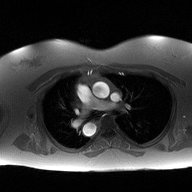
modality = 2D phase-contrast cine MRI of the ascending aorta